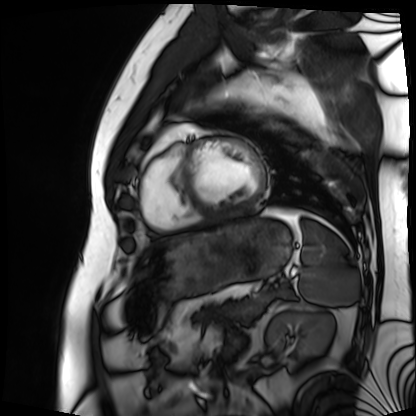
modality: cardiac MRI
subject group: patient